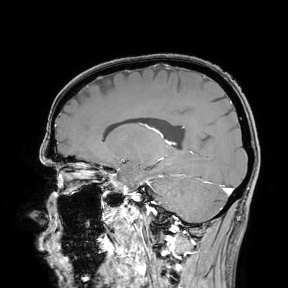
* modality: 3 Tesla brain MRI
* study: ring-enhancing brain masses